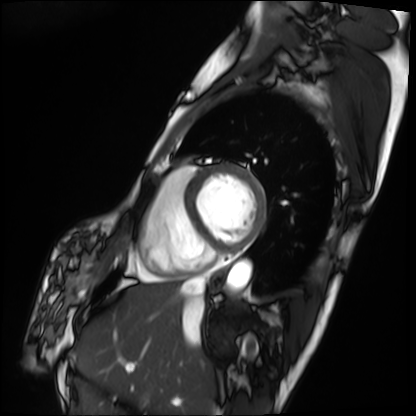
Case:
– modality · cardiac MRI
– subject group · patient